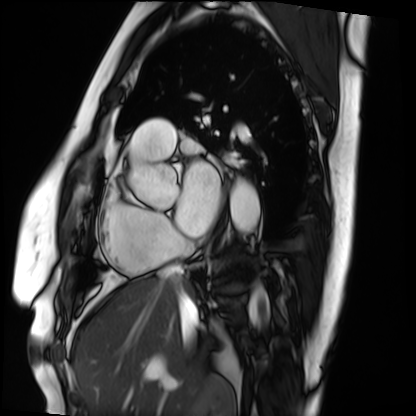
modality = cardiac MRI | subject group = patient.